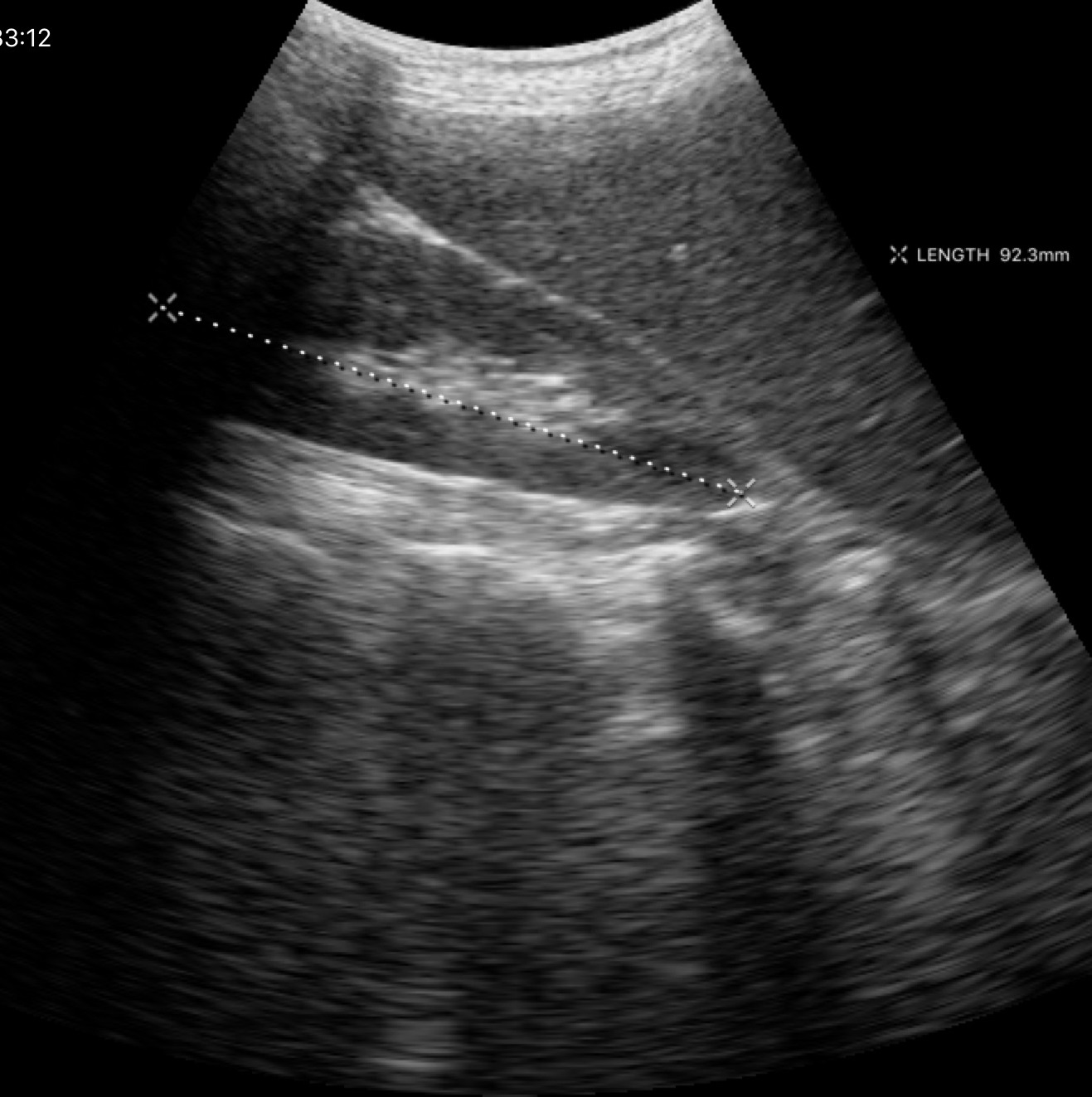
Summary: Genitourinary ultrasound.